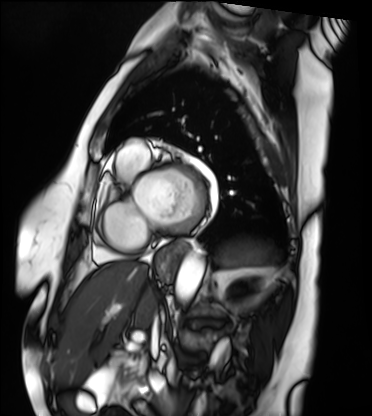
{
  "modality": "cardiac MRI",
  "cohort": "patient"
}